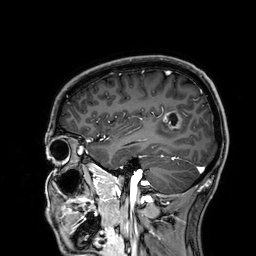
3 Tesla brain MRI.
Series: 3D T1-weighted.
Study: ring-enhancing brain masses.